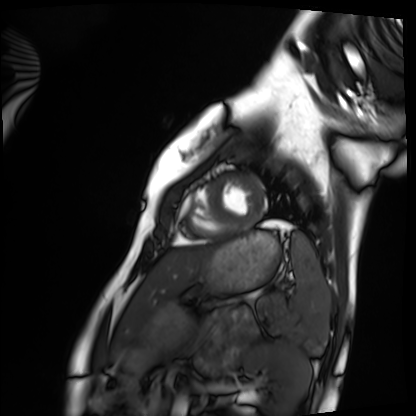
Cardiac MRI.
Subject group: healthy volunteer.